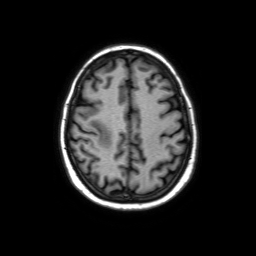
{
  "modality": {
    "type": "brain MRI",
    "field_strength": "3T"
  },
  "series": "axial without contrast",
  "study_topic": "ring-enhancing brain masses"
}